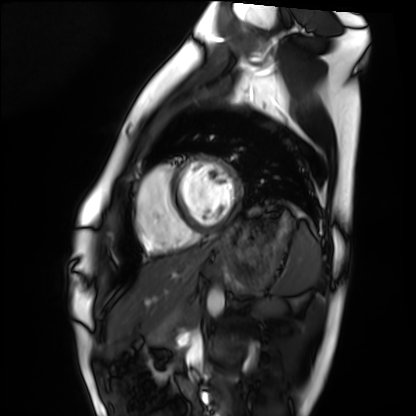
Cardiac MRI. Subject group: healthy volunteer.